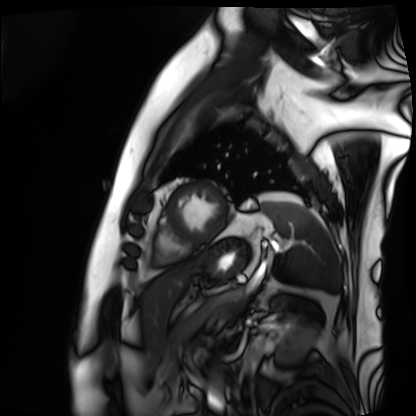
<study>
  <modality>cardiac MRI</modality>
  <cohort>patient</cohort>
</study>